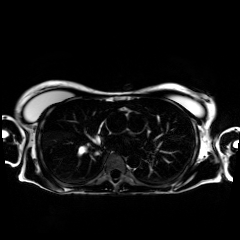
<scan>
<modality>chemical-shift-encoded cardiac MRI</modality>
</scan>